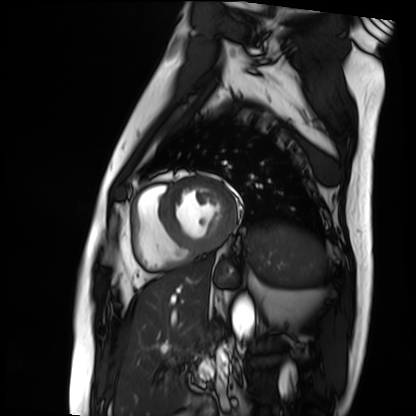
Case:
• modality — cardiac MRI
• subject group — patient